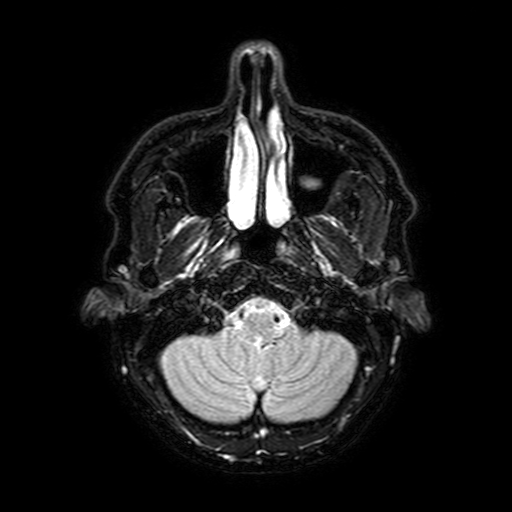
modality = 3 Tesla brain MRI
series = FLAIR with SPAIR, 3 mm
study = ring-enhancing brain masses